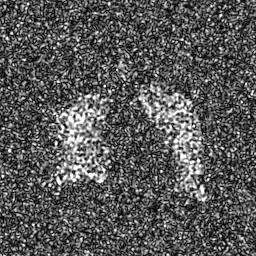
<case>
  <modality>hyperpolarized 129Xe ventilation MRI of the lungs</modality>
  <snr_level>8 of 8 (the deposit holds this scan as its native image and as seven SNR-degraded versions)</snr_level>
</case>